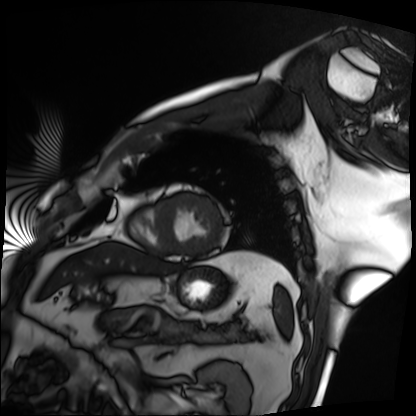
<scan>
<modality>cardiac MRI</modality>
<cohort>patient</cohort>
</scan>